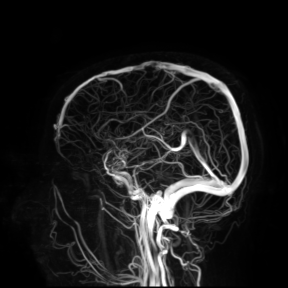
Clinical context:
3 Tesla brain MRI. Study: ring-enhancing brain masses.